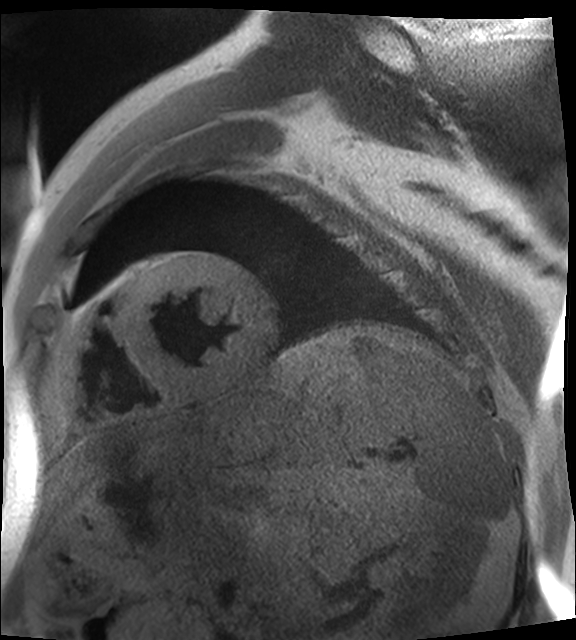
Cardiac MR image of the myocardium. Subject cohort: cardiac patient.